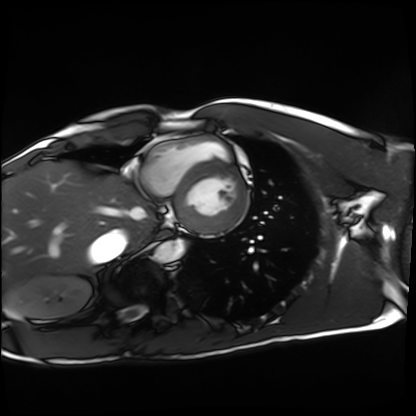
Case summary:
Cardiac MRI. Subject group: healthy volunteer.